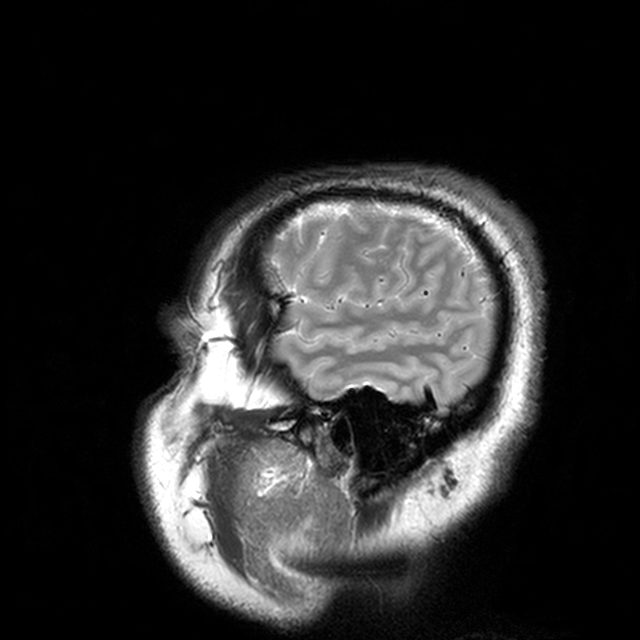
3 Tesla brain MRI.
Series: T2-weighted turbo spin echo with CLEAR.
Study: ring-enhancing brain masses.